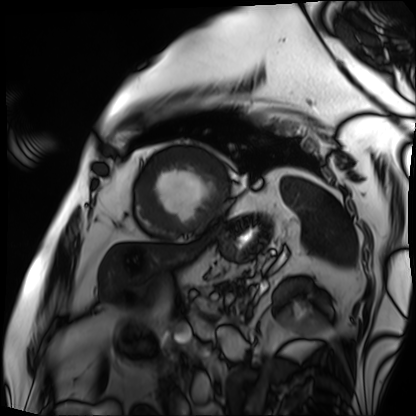
- modality: cardiac MRI
- subject group: patient